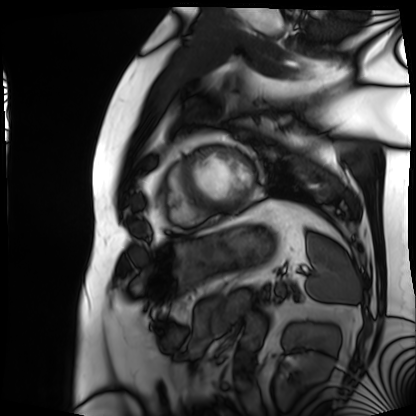
Cardiac MRI. Subject group: patient.